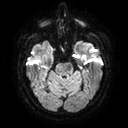
modality — 3 Tesla brain MRI; series — diffusion tensor imaging (medium iso); study — ring-enhancing brain masses.